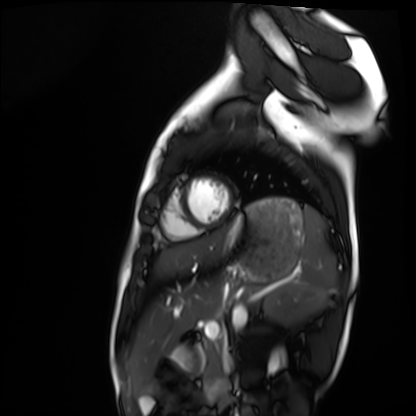
| field | value |
|---|---|
| modality | cardiac MRI |
| subject group | healthy volunteer |